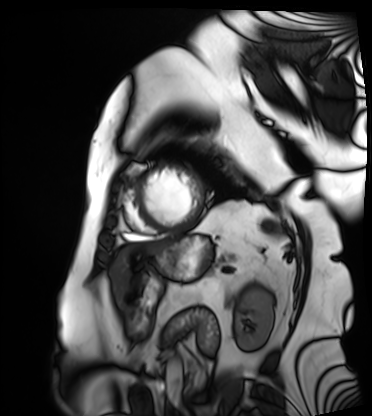
Case:
• modality · cardiac MRI
• subject group · patient